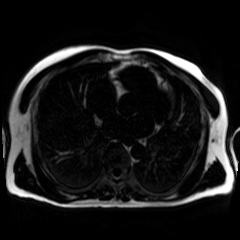
Clinical context:
Chemical-shift-encoded cardiac MRI.